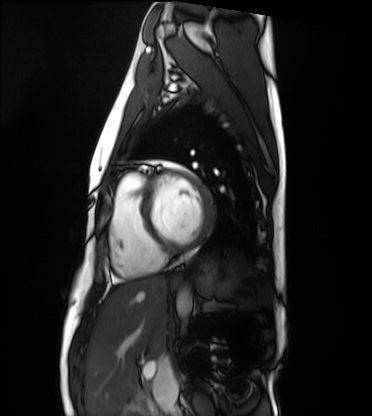
Cardiac MRI.
Subject group: healthy volunteer.